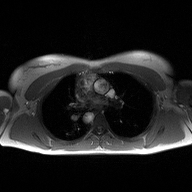
Case summary:
2D phase-contrast cine MRI of the ascending aorta, high-resolution GRAPPA acquisition.